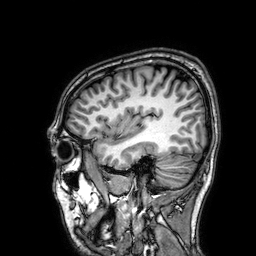
{
  "modality": {
    "type": "brain MRI",
    "field_strength": "3T"
  },
  "series": "3D T1-weighted",
  "study_topic": "ring-enhancing brain masses"
}